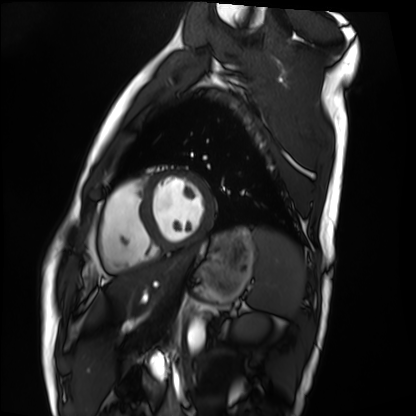
Cardiac MRI.
Subject group: healthy volunteer.